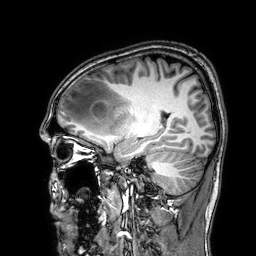
• modality · 3 Tesla brain MRI
• series · 3D T1-weighted
• study · ring-enhancing brain masses